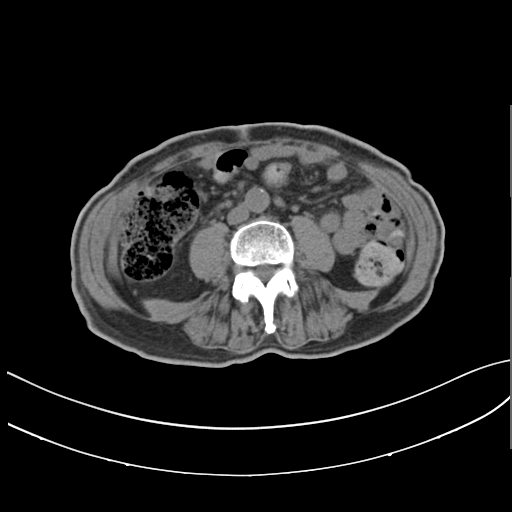
Multiphase abdominal CT, liver, non-contrast phase. Patient: male, age 71. History: prior chemotherapy.